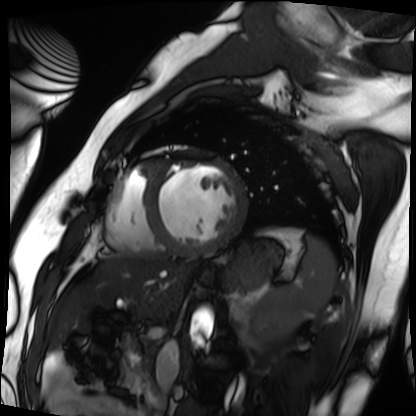
modality: cardiac MRI, subject group: patient.